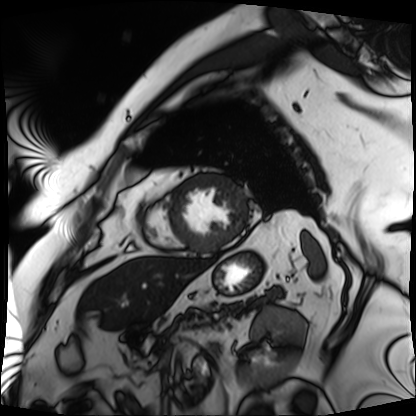
Cardiac MRI. Subject group: patient.